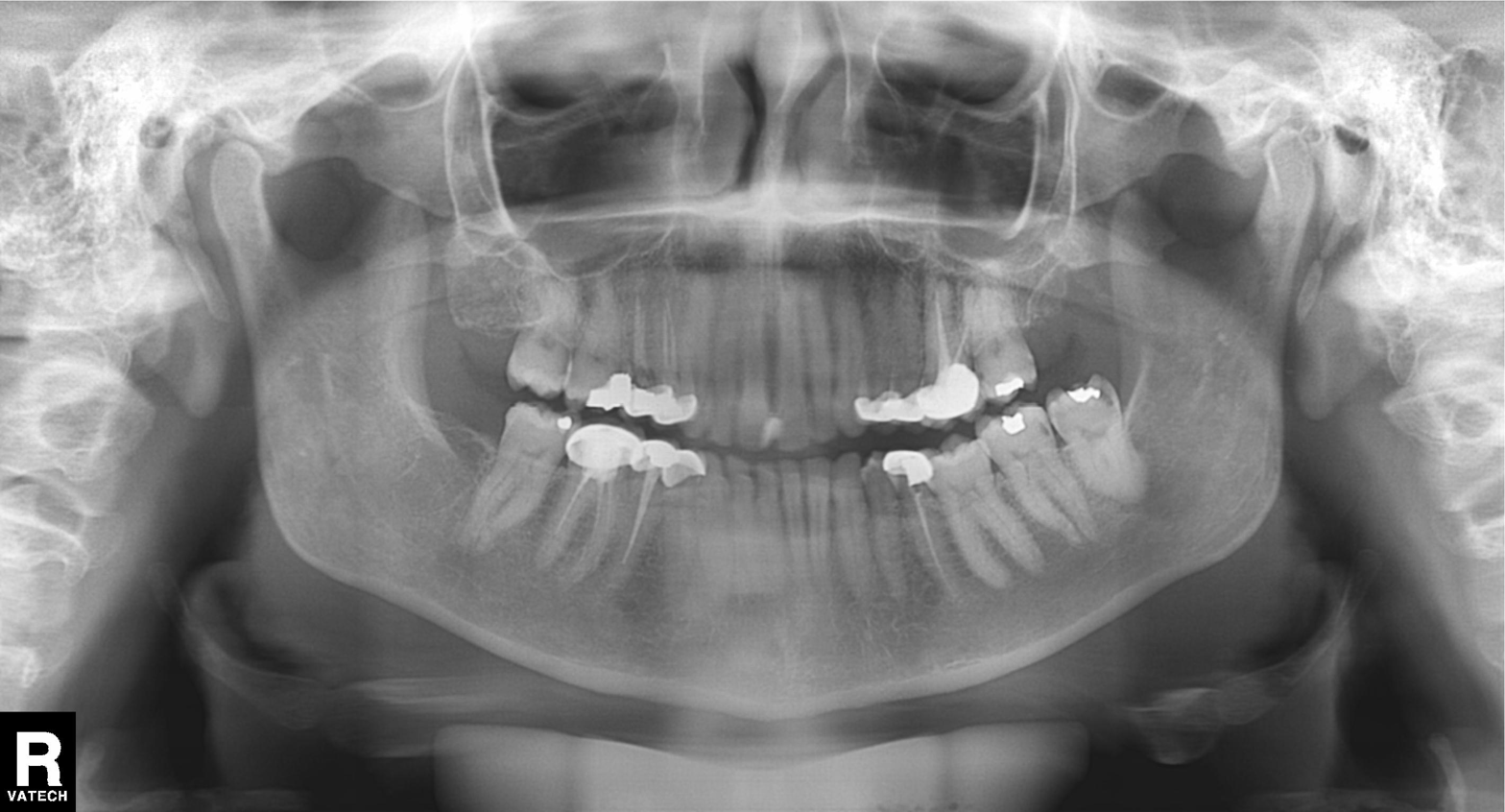
Q: What kind of scan is this?
A: Panoramic dental radiograph (orthopantomogram).
Q: What is the radiographic finding?
A: Alveolar bone loss.